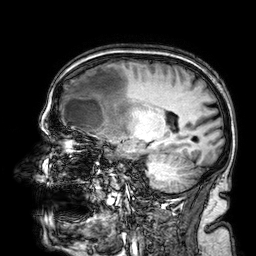
3 Tesla brain MRI.
Series: 3D T1-weighted.
Study: ring-enhancing brain masses.